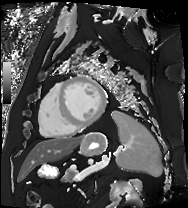
Cardiac MRI. Subject group: patient.